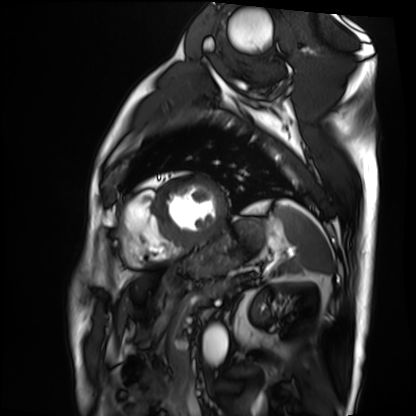
Cardiac MRI. Subject group: patient.